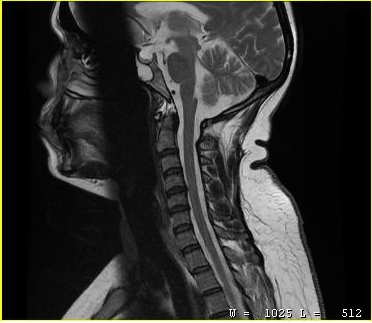
{
  "modality": {
    "type": "cervical spine MRI"
  },
  "study_topic": "cervical spondylosis"
}